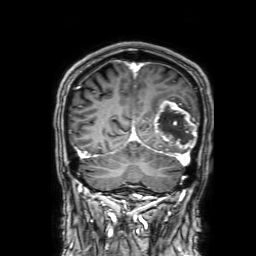
<scan>
<modality>
  <type>brain MRI</type>
  <field_strength>3T</field_strength>
</modality>
<series>3D T1-weighted with SENSE</series>
<study_topic>ring-enhancing brain masses</study_topic>
</scan>